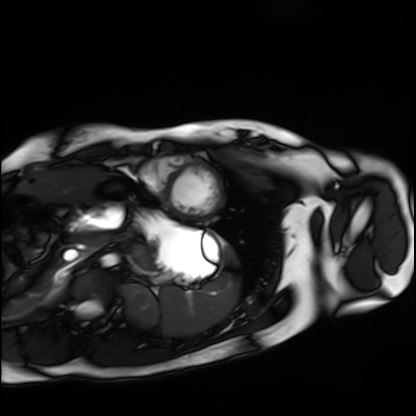
Case summary: Cardiac MRI. Subject group: healthy volunteer.